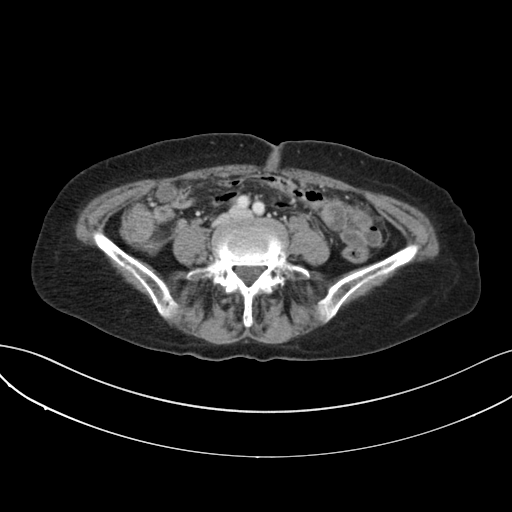
modality — multiphase abdominal CT, liver, portal venous phase; patient — female, age 74.